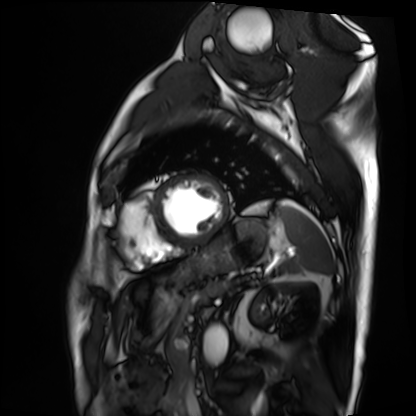
| field | value |
|---|---|
| modality | cardiac MRI |
| subject group | patient |